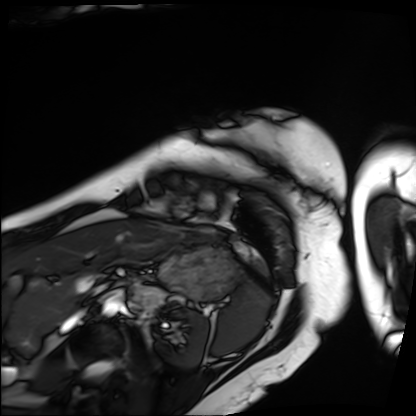
modality: cardiac MRI
subject group: patient